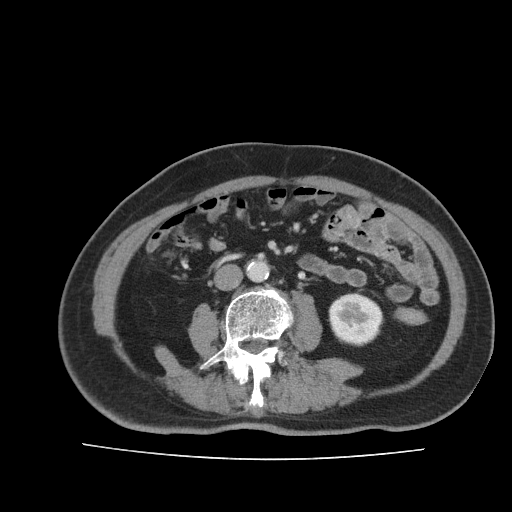
Summary: Multiphase abdominal CT, liver, portal venous phase. Patient: male, age 73. History: prior chemotherapy.